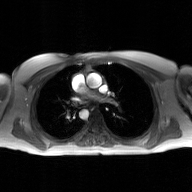
2D phase-contrast cine MRI of the ascending aorta, GAN super-resolution reconstruction.